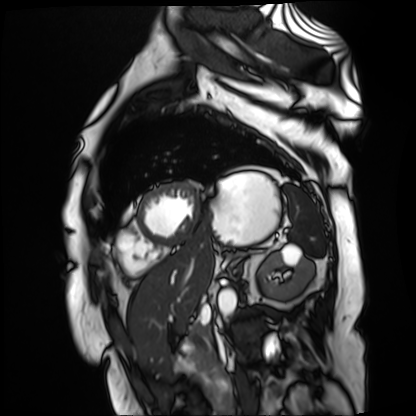
Summary: Cardiac MR image of the myocardium. Subject cohort: cardiac patient.